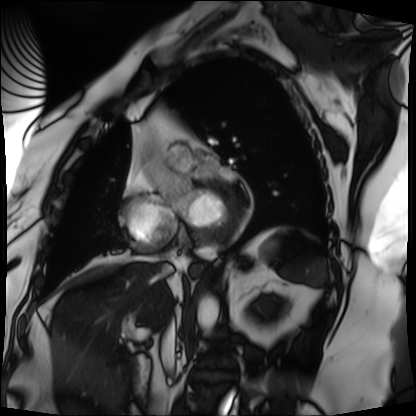
Cardiac MRI. Subject group: patient.